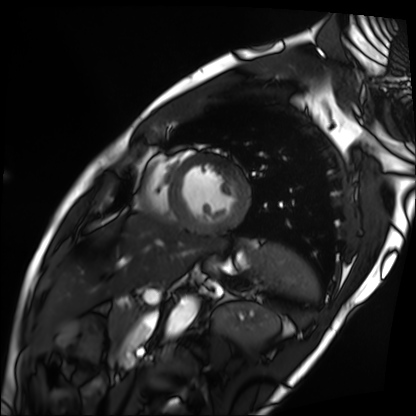
<record>
<modality>cardiac MRI</modality>
<cohort>patient</cohort>
</record>